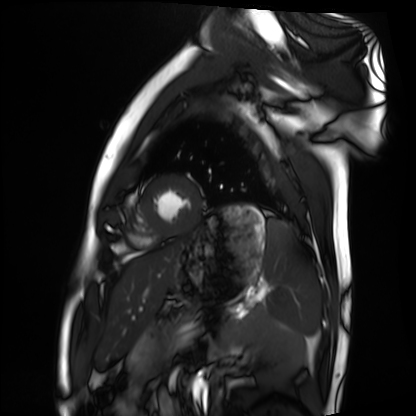
modality=cardiac MRI
subject group=healthy volunteer